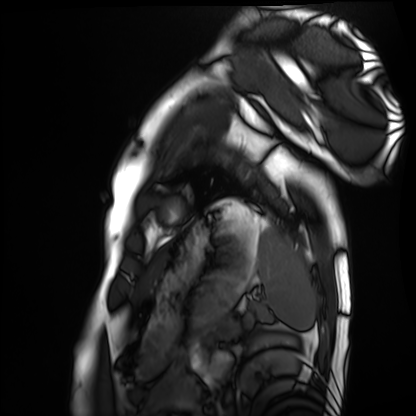
Cardiac MRI.
Subject group: healthy volunteer.